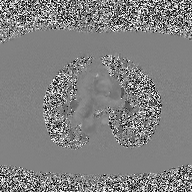
modality: 2D phase-contrast cine MRI of the ascending aorta.